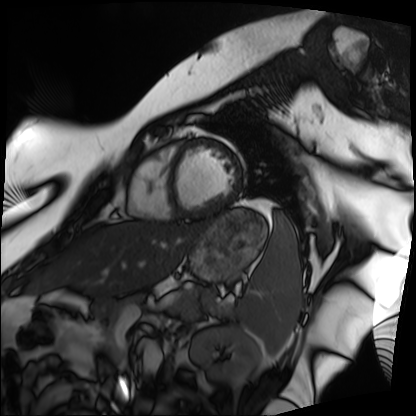
Summary: Cardiac MRI. Subject group: patient.